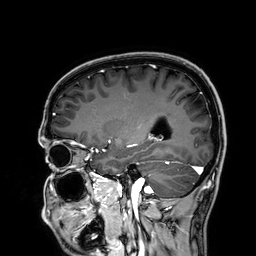
modality=3 Tesla brain MRI
series=3D T1-weighted
study=ring-enhancing brain masses